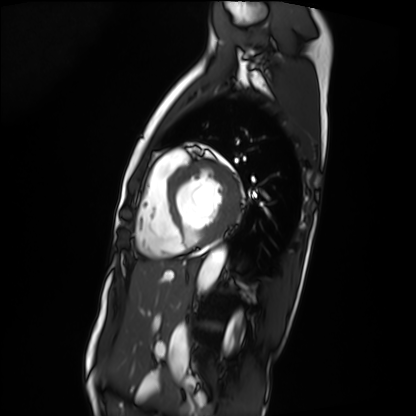
<record>
<modality>cardiac MRI</modality>
<cohort>patient</cohort>
</record>